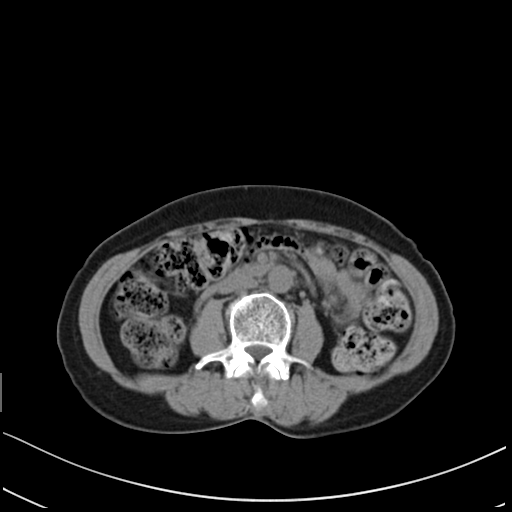
• modality: multiphase abdominal CT, liver, non-contrast phase
• patient: female, age 58
• history: prior chemotherapy